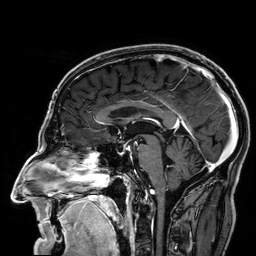
Q: What kind of scan is this?
A: 3 Tesla brain MRI.
Q: Series?
A: 3D T1-weighted.
Study: ring-enhancing brain masses.